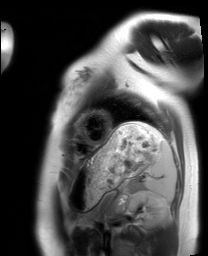
Clinical context: Cardiac MRI. Subject group: healthy volunteer.